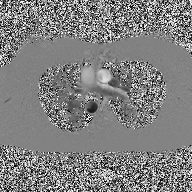
modality: 2D phase-contrast cine MRI of the ascending aorta